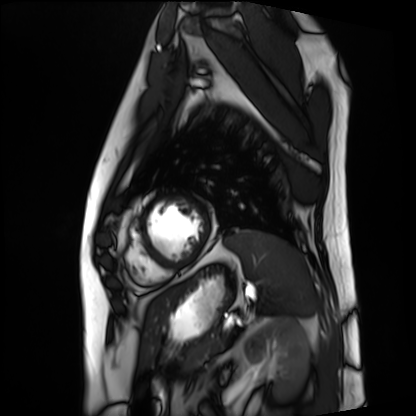
Cardiac MRI. Subject group: patient.